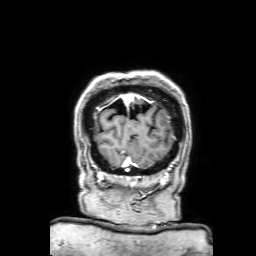
modality — 3 Tesla brain MRI; series — 3D T1-weighted with SENSE; study — ring-enhancing brain masses.